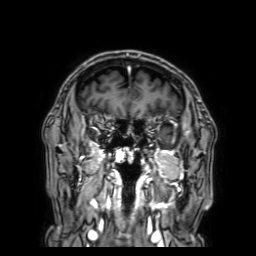
3 Tesla brain MRI.
Series: 3D T1-weighted with SENSE.
Study: ring-enhancing brain masses.